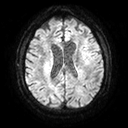
modality: 3 Tesla brain MRI; series: diffusion tensor imaging (medium iso); study: ring-enhancing brain masses.